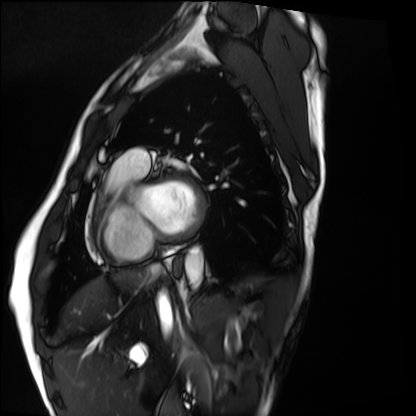
Summary:
Cardiac MRI. Subject group: healthy volunteer.